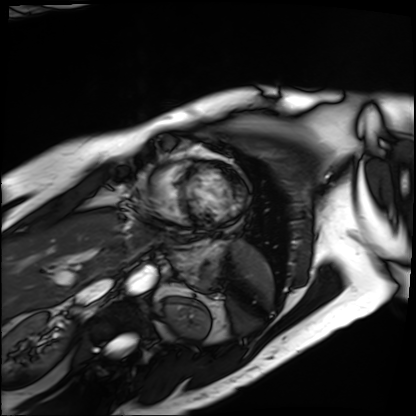
Clinical context: Cardiac MRI. Subject group: patient.